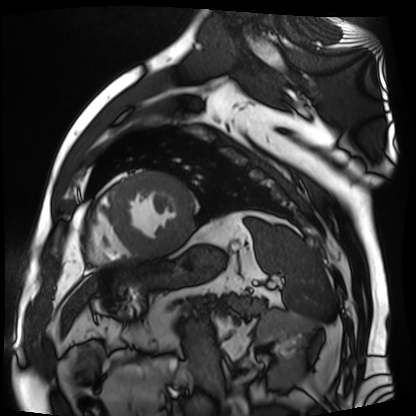
Cardiac MR image of the myocardium.
Subject cohort: cardiac patient.